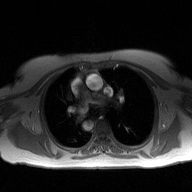
  modality:
    type: 2D phase-contrast cine MRI
    region: ascending aorta
    reconstruction: high-resolution GRAPPA acquisition